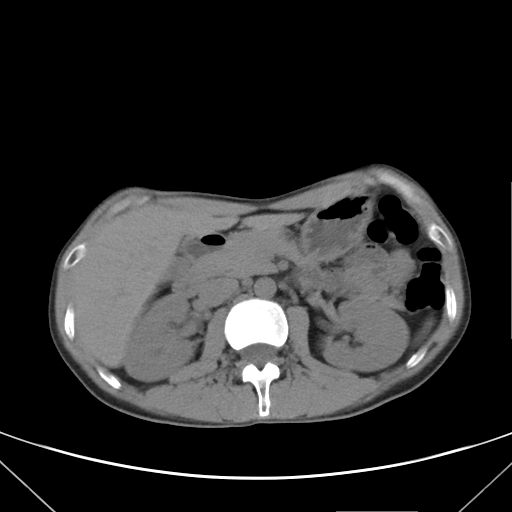
Q: What kind of scan is this?
A: Multiphase abdominal CT, liver, non-contrast phase.
Q: Patient?
A: Male, age 38.
Q: History?
A: Cirrhosis, viral hepatitis.